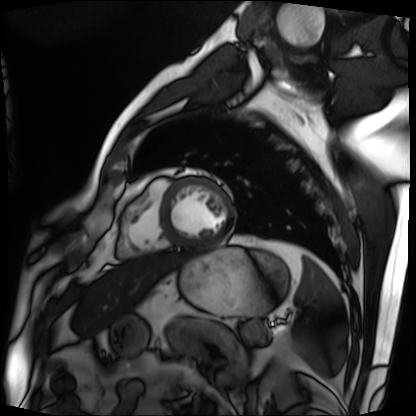
Cardiac MRI. Subject group: patient.